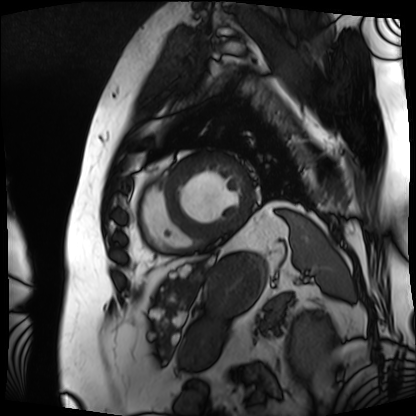
Cardiac MRI.
Subject group: patient.